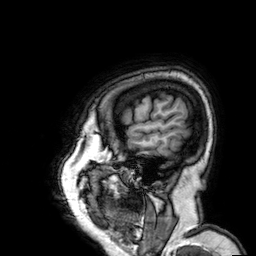
3 Tesla brain MRI. Series: 3D T1-weighted. Study: ring-enhancing brain masses.